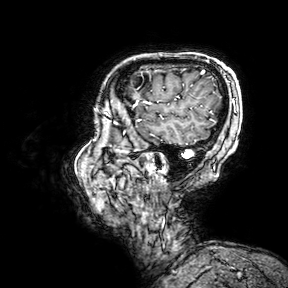
3 Tesla brain MRI.
Series: 3D T1-weighted turbo field echo with SENSE.
Study: ring-enhancing brain masses.